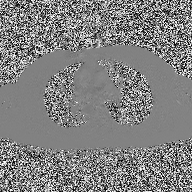
Q: What kind of scan is this?
A: 2D phase-contrast cine MRI of the ascending aorta.